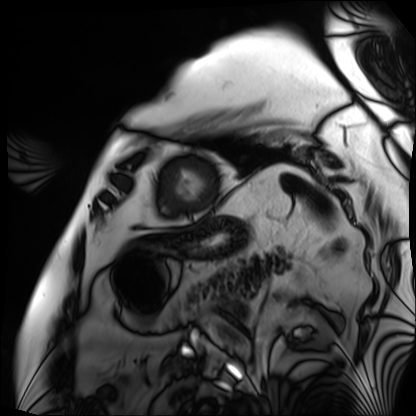
<study>
  <modality>cardiac MRI</modality>
  <cohort>patient</cohort>
</study>